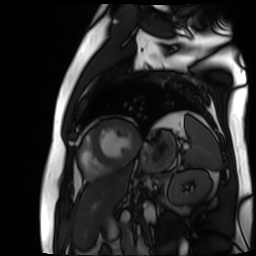
– modality — cardiac MR image of the myocardium
– subject cohort — cardiac patient